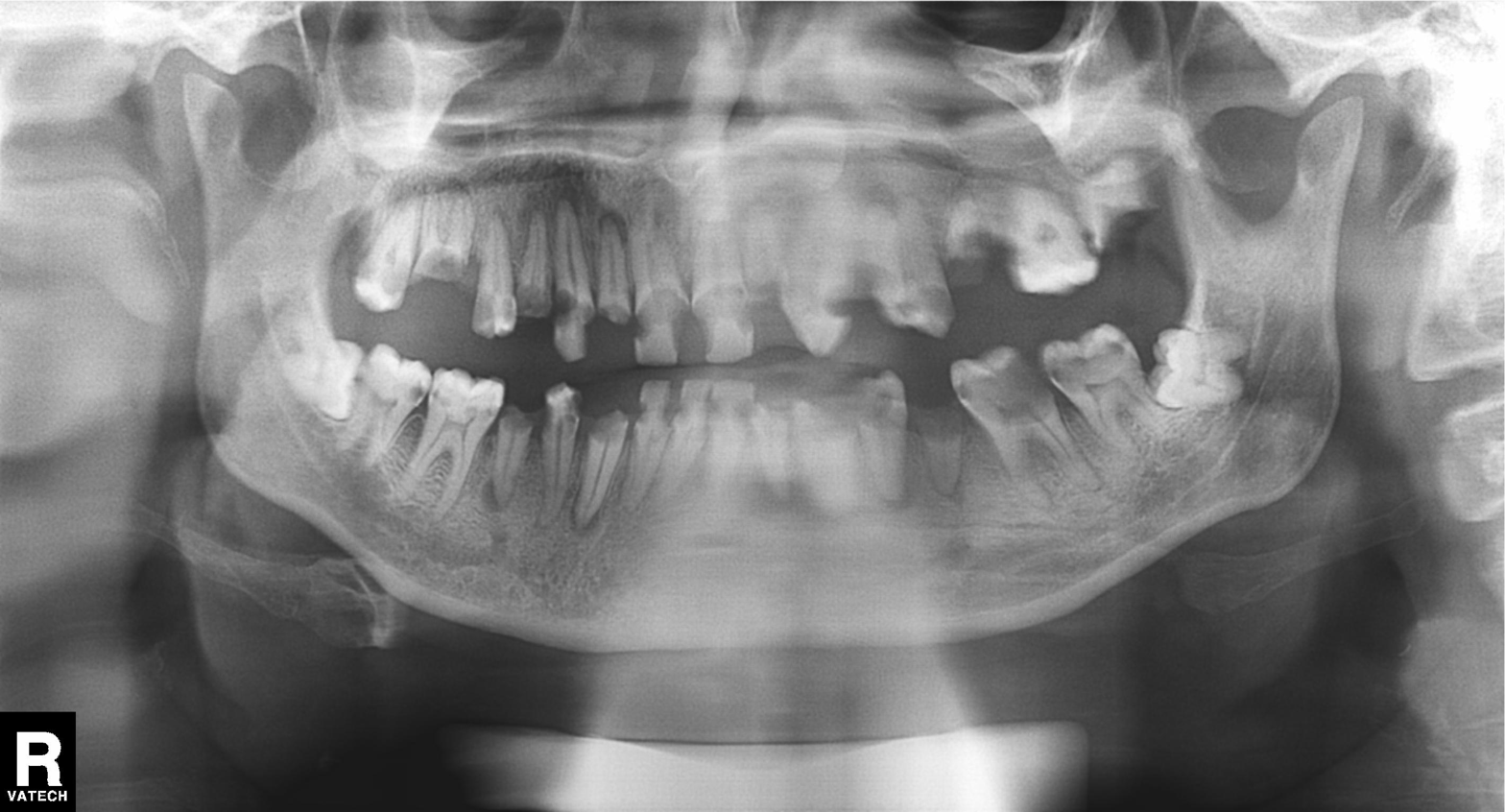
Panoramic dental radiograph (orthopantomogram). Finding: tooth impaction.